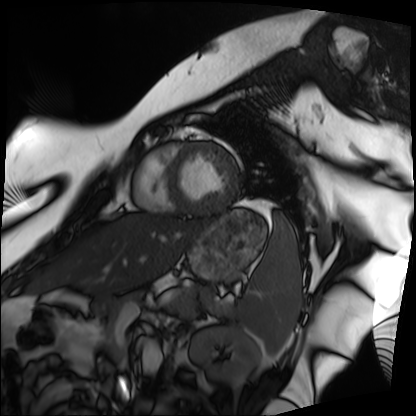
Cardiac MRI. Subject group: patient.